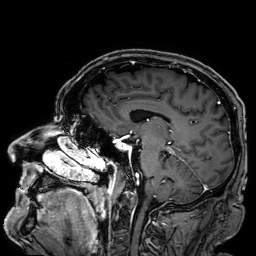
3 Tesla brain MRI.
Series: 3D T1-weighted.
Study: ring-enhancing brain masses.